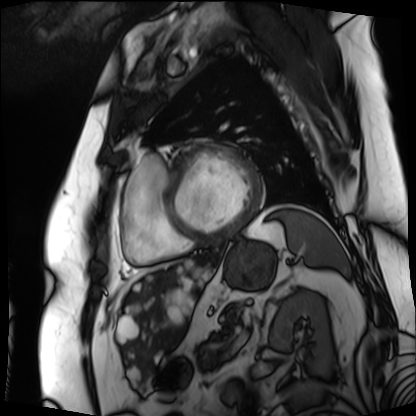
modality: cardiac MRI
subject group: patient